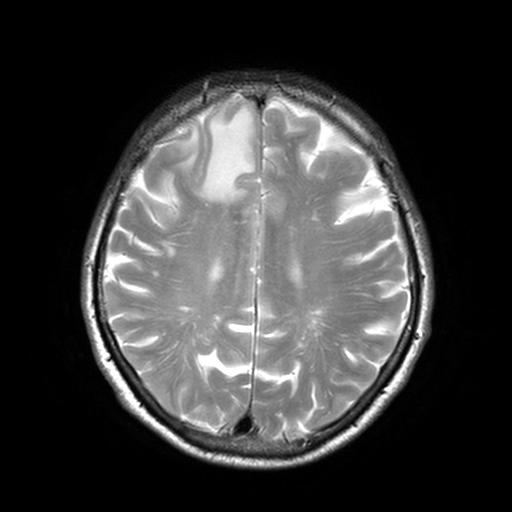
  modality:
    type: brain MRI
    field_strength: 3T
  study_topic: ring-enhancing brain masses